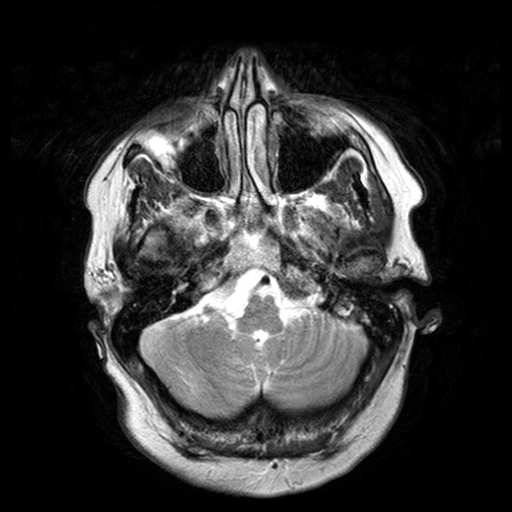
| field | value |
|---|---|
| modality | 3 Tesla brain MRI |
| series | T2-weighted turbo spin echo with SENSE |
| study | ring-enhancing brain masses |